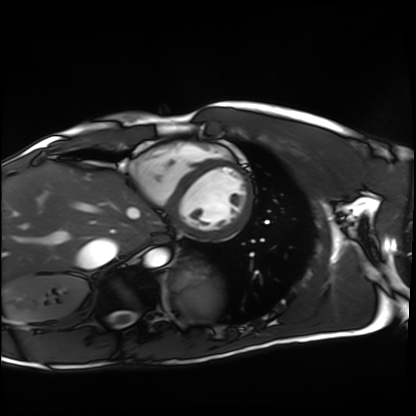
Q: What kind of scan is this?
A: Cardiac MRI.
Subject group: healthy volunteer.